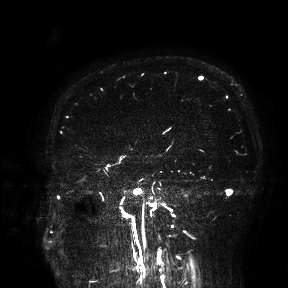
3 Tesla brain MRI.
Study: ring-enhancing brain masses.